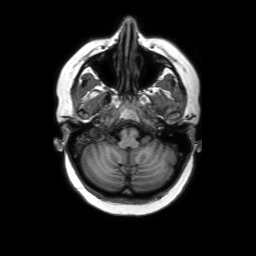
<case>
  <modality>
    <type>brain MRI</type>
    <field_strength>3T</field_strength>
  </modality>
  <series>axial without contrast</series>
  <study_topic>ring-enhancing brain masses</study_topic>
</case>